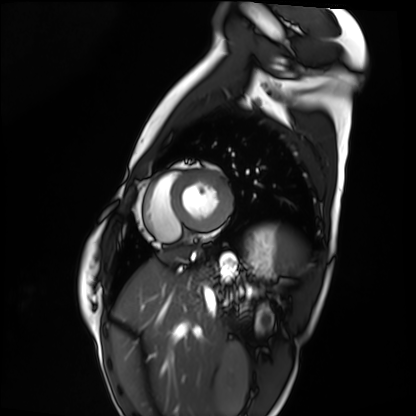
modality: cardiac MRI; subject group: healthy volunteer.